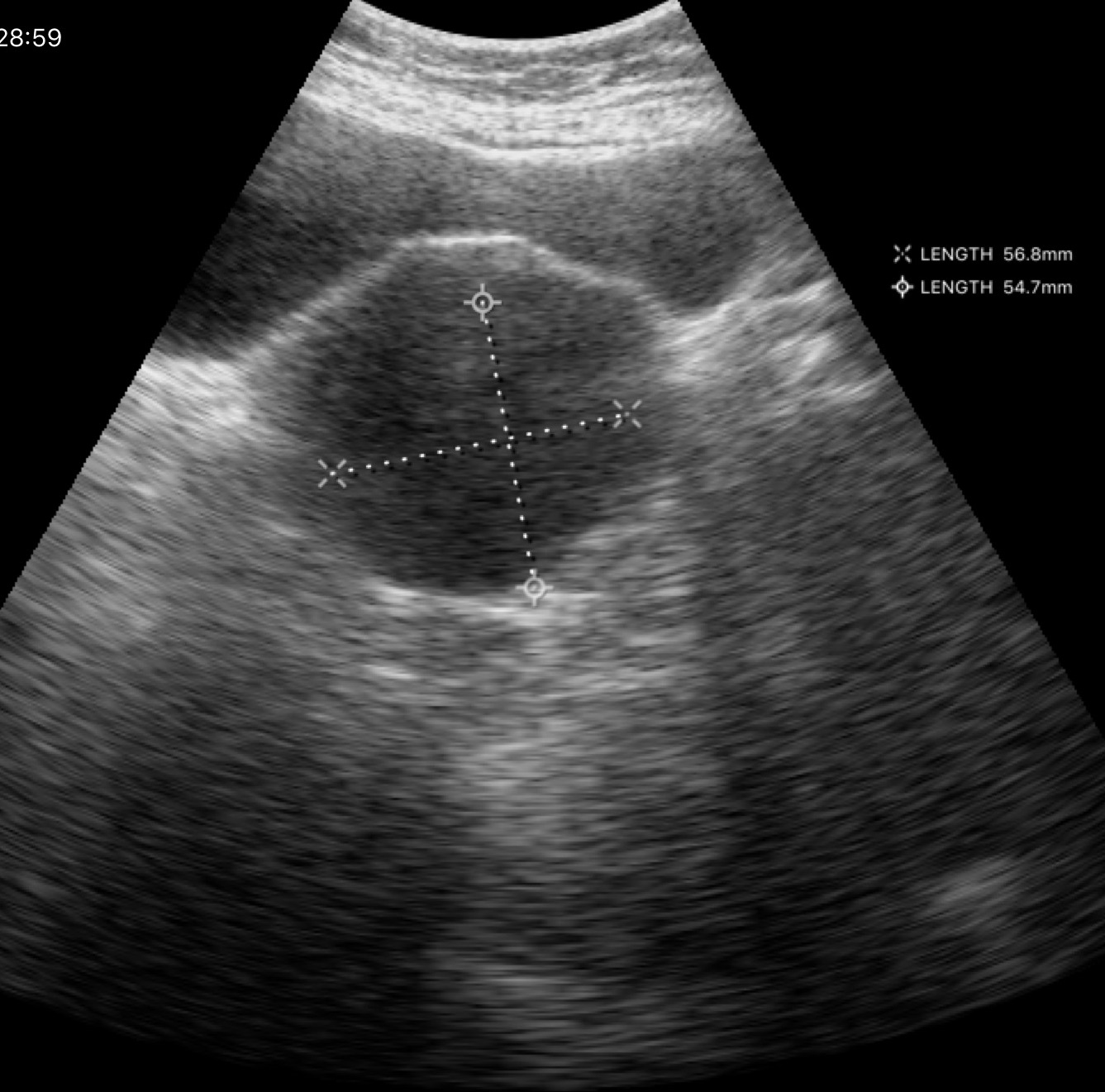
Q: What kind of scan is this?
A: Genitourinary ultrasound.